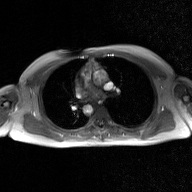
Summary: 2D phase-contrast cine MRI of the ascending aorta, GAN super-resolution reconstruction.